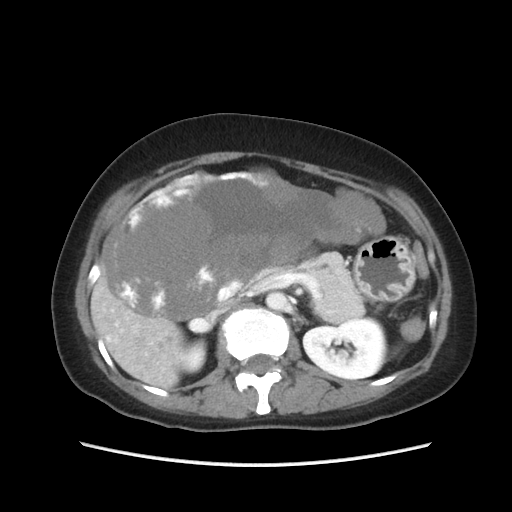
modality:
  type: multiphase abdominal CT
  region: liver
  phase: portal venous
patient:
  sex: female
  age: 49